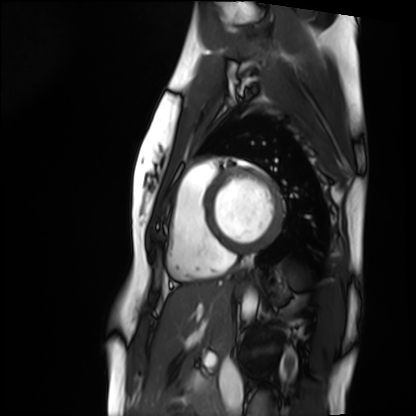
Summary:
Cardiac MRI. Subject group: healthy volunteer.